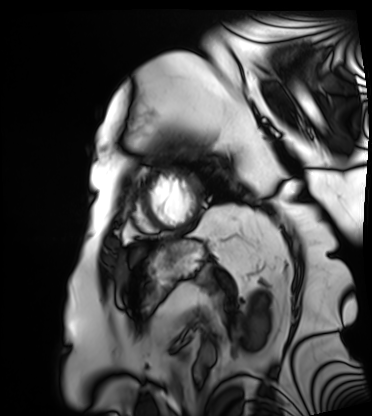
Summary: Cardiac MRI. Subject group: patient.